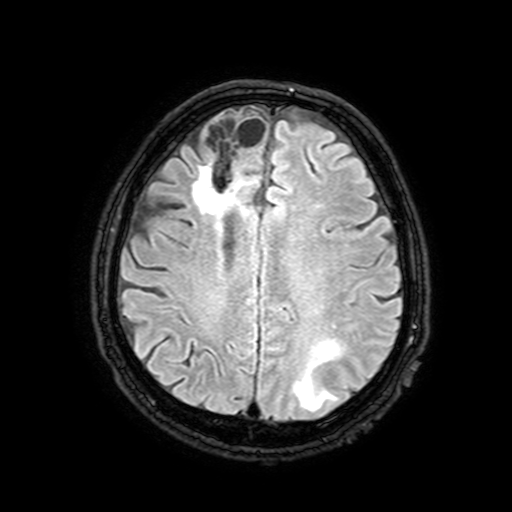
Q: What kind of scan is this?
A: 3 Tesla brain MRI.
Q: Series?
A: FLAIR with SPAIR, 3 mm.
Study: ring-enhancing brain masses.